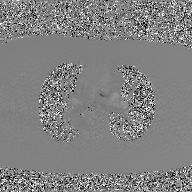
Clinical context:
2D phase-contrast cine MRI of the ascending aorta, GAN super-resolution reconstruction.